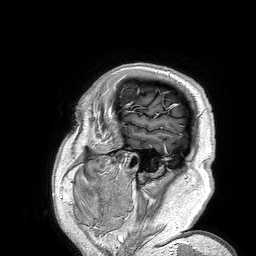
Q: What kind of scan is this?
A: 3 Tesla brain MRI.
Q: Series?
A: 3D T1-weighted turbo field echo.
Study: ring-enhancing brain masses.